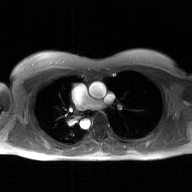
Clinical context:
2D phase-contrast cine MRI of the ascending aorta, GAN super-resolution reconstruction.